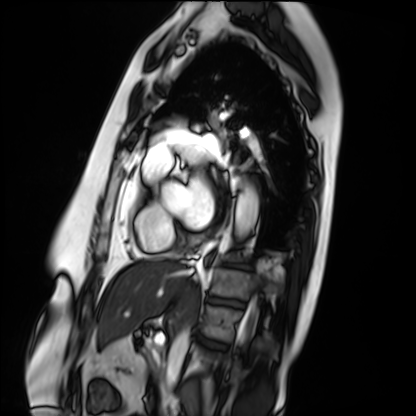
Cardiac MRI.
Subject group: patient.